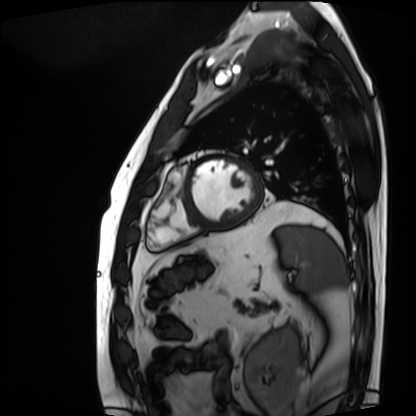
Clinical context:
Cardiac MRI. Subject group: patient.